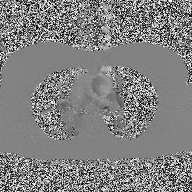
modality=2D phase-contrast cine MRI of the ascending aorta.